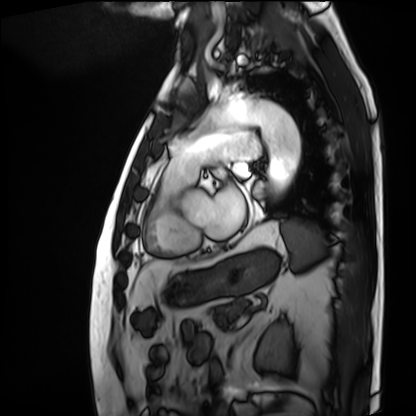
Cardiac MRI.
Subject group: patient.